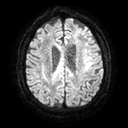
Case summary:
3 Tesla brain MRI. Series: diffusion tensor imaging (medium iso). Study: ring-enhancing brain masses.